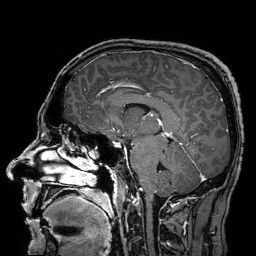
3 Tesla brain MRI.
Series: 3D T1-weighted turbo field echo with SENSE.
Study: ring-enhancing brain masses.